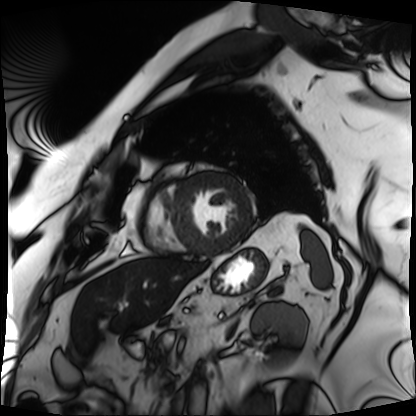
Case summary:
Cardiac MRI. Subject group: patient.